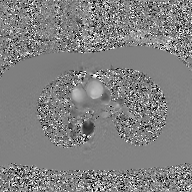
{"modality": {"type": "2D phase-contrast cine MRI", "region": "ascending aorta", "reconstruction": "GAN super-resolution reconstruction"}}